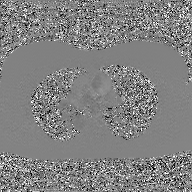
2D phase-contrast cine MRI of the ascending aorta, GAN super-resolution reconstruction.